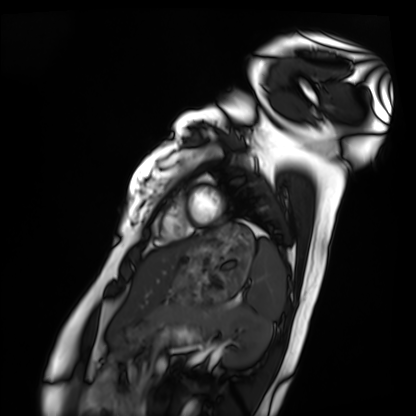
Q: What kind of scan is this?
A: Cardiac MRI.
Subject group: healthy volunteer.